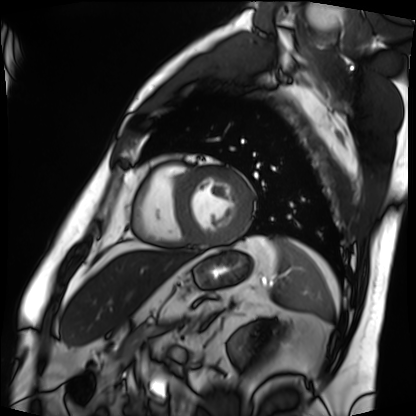
modality = cardiac MRI
subject group = patient